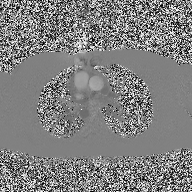
modality = 2D phase-contrast cine MRI of the ascending aorta.